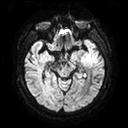
3 Tesla brain MRI. Series: diffusion tensor imaging (medium iso). Study: ring-enhancing brain masses.